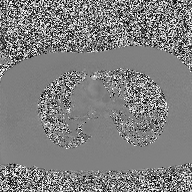
Q: What kind of scan is this?
A: 2D phase-contrast cine MRI of the ascending aorta.